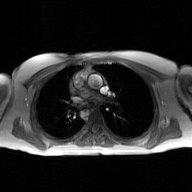
Summary:
2D phase-contrast cine MRI of the ascending aorta, GAN super-resolution reconstruction.